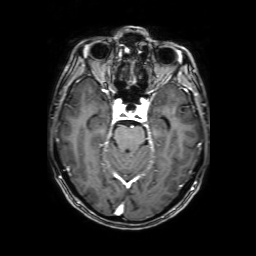
* modality: 3 Tesla brain MRI
* series: 3D T1-weighted with SENSE
* study: ring-enhancing brain masses